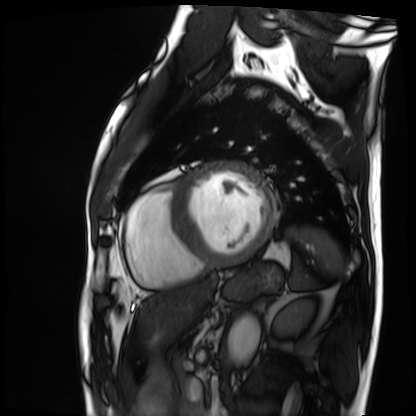
- modality: cardiac MRI
- subject group: patient